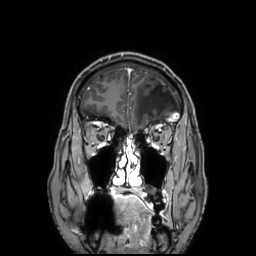
3 Tesla brain MRI.
Series: 3D T1-weighted TFE with SENSE.
Study: ring-enhancing brain masses.